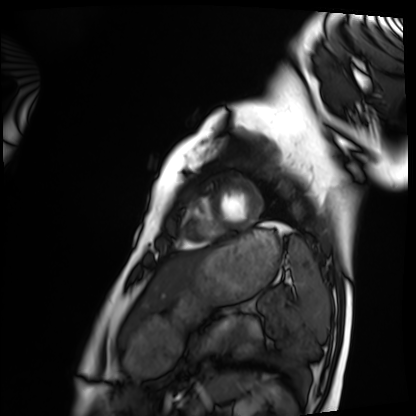
modality: cardiac MRI
cohort: healthy volunteer